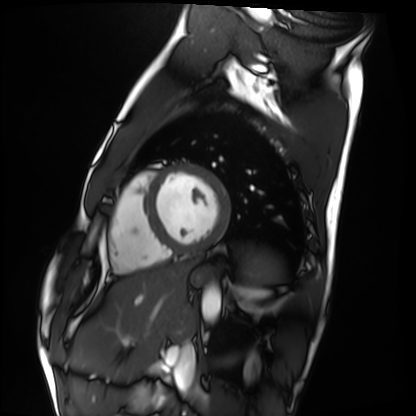
{"modality": "cardiac MRI", "cohort": "healthy volunteer"}